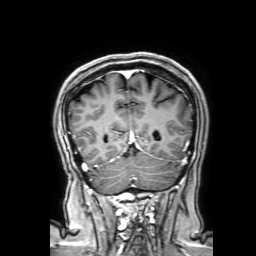
  modality:
    type: brain MRI
    field_strength: 3T
  series: 3D T1-weighted with SENSE
  study_topic: ring-enhancing brain masses